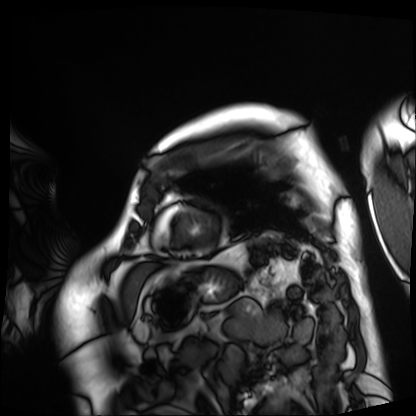
Cardiac MRI. Subject group: patient.